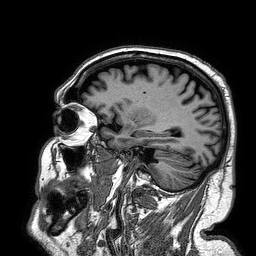
Summary: 3 Tesla brain MRI. Series: 3D T1-weighted turbo field echo. Study: ring-enhancing brain masses.